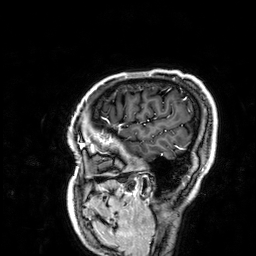
Case summary:
3 Tesla brain MRI. Study: ring-enhancing brain masses.